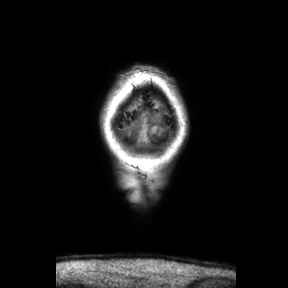
Q: What kind of scan is this?
A: 3 Tesla brain MRI.
Q: Series?
A: Coronal.
Study: ring-enhancing brain masses.